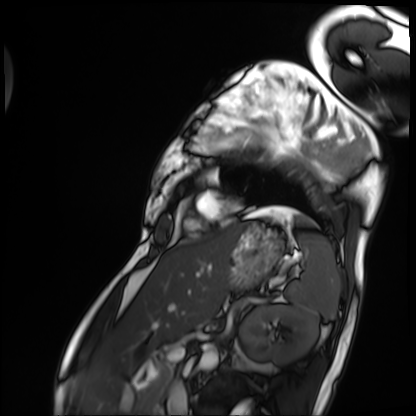
Cardiac MRI.
Subject group: patient.